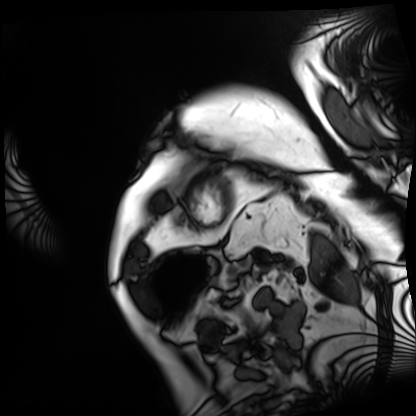
* modality — cardiac MRI
* subject group — patient